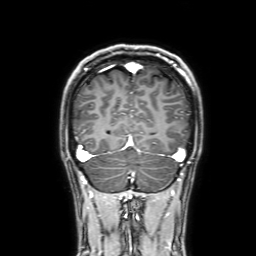
modality=3 Tesla brain MRI | series=3D T1-weighted with SENSE | study=ring-enhancing brain masses.